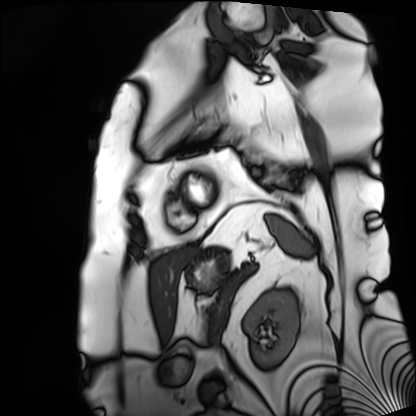
Cardiac MRI. Subject group: patient.